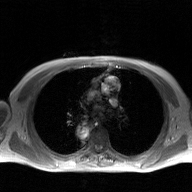
Summary: 2D phase-contrast cine MRI of the ascending aorta, GAN super-resolution reconstruction.